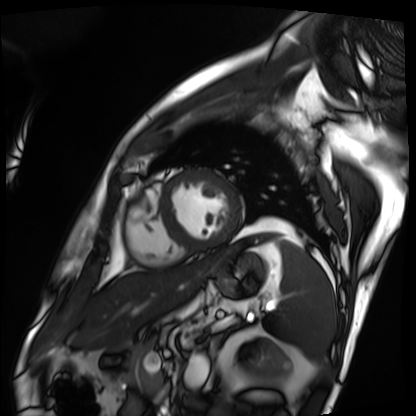
modality = cardiac MRI; subject group = patient.